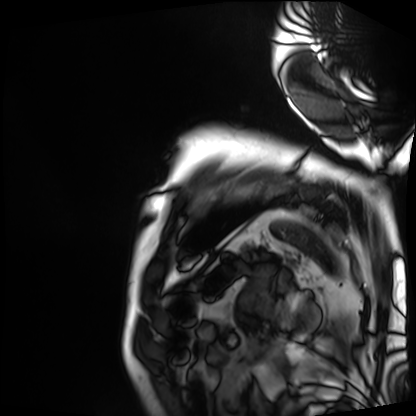
Cardiac MRI. Subject group: patient.